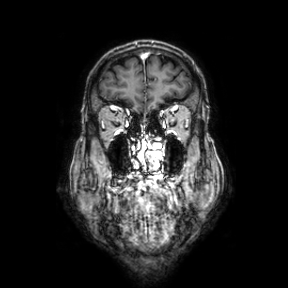
Summary: 3 Tesla brain MRI. Series: coronal. Study: ring-enhancing brain masses.